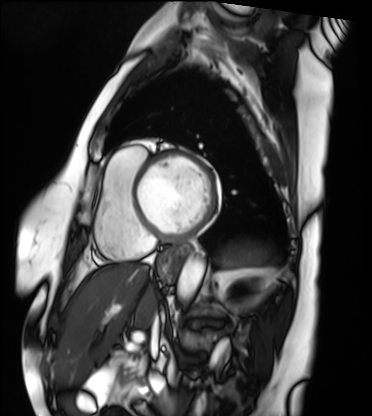
Cardiac MRI.
Subject group: patient.